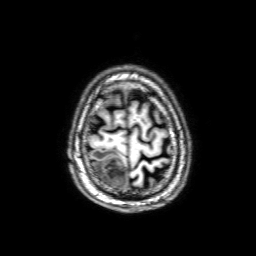
Case:
– modality · 3 Tesla brain MRI
– series · 3D T1-weighted with SENSE
– study · ring-enhancing brain masses